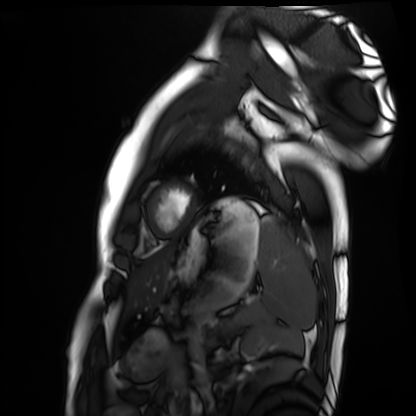
Cardiac MRI.
Subject group: healthy volunteer.